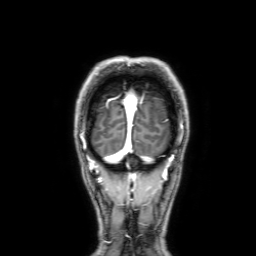
<case>
<modality>
  <type>brain MRI</type>
  <field_strength>3T</field_strength>
</modality>
<series>3D T1-weighted with SENSE</series>
<study_topic>ring-enhancing brain masses</study_topic>
</case>